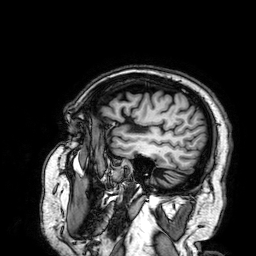
Case summary: 3 Tesla brain MRI. Series: 3D T1-weighted. Study: ring-enhancing brain masses.